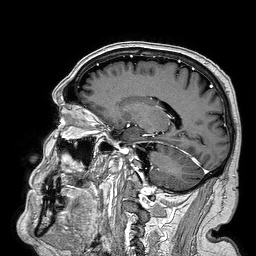
{
  "modality": {
    "type": "brain MRI",
    "field_strength": "3T"
  },
  "series": "3D T1-weighted turbo field echo",
  "study_topic": "ring-enhancing brain masses"
}